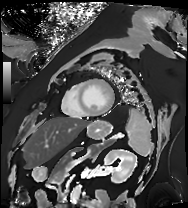
modality = cardiac MRI, subject group = patient.